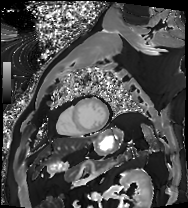
Cardiac MRI. Subject group: patient.